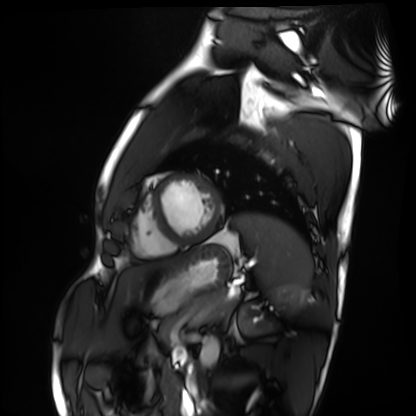
Summary:
Cardiac MRI. Subject group: healthy volunteer.